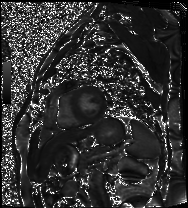
<record>
<modality>cardiac MRI</modality>
<cohort>patient</cohort>
</record>